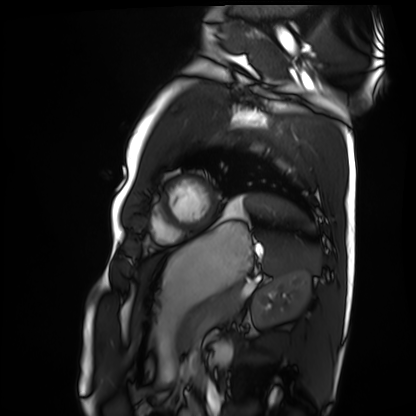
| field | value |
|---|---|
| modality | cardiac MRI |
| subject group | healthy volunteer |